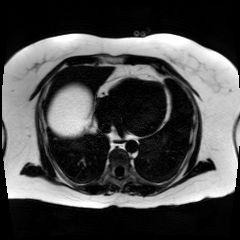
Chemical-shift-encoded cardiac MRI.